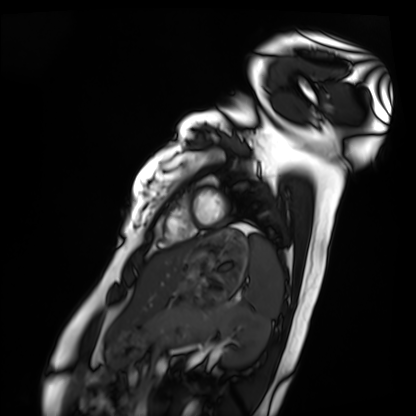
{"modality": "cardiac MRI", "cohort": "healthy volunteer"}